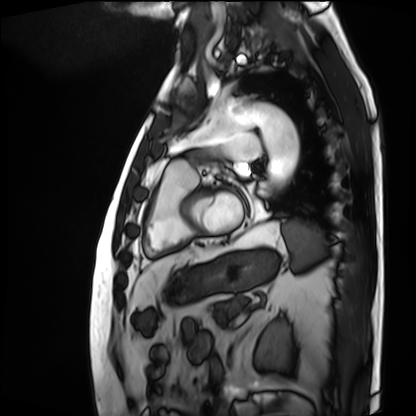
Cardiac MRI. Subject group: patient.